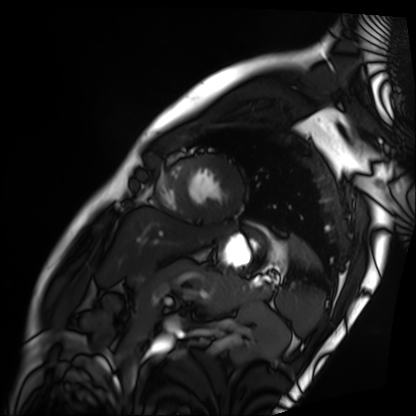
modality = cardiac MRI
subject group = patient